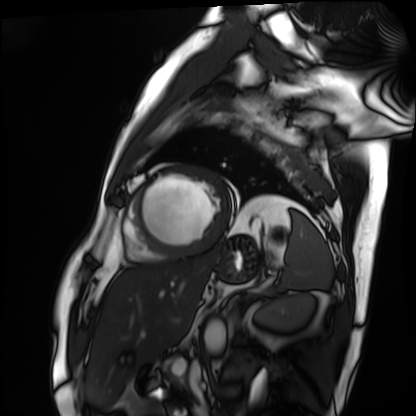
Cardiac MRI.
Subject group: patient.